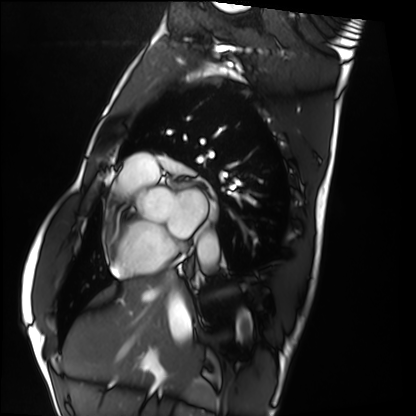
Clinical context: Cardiac MRI. Subject group: healthy volunteer.